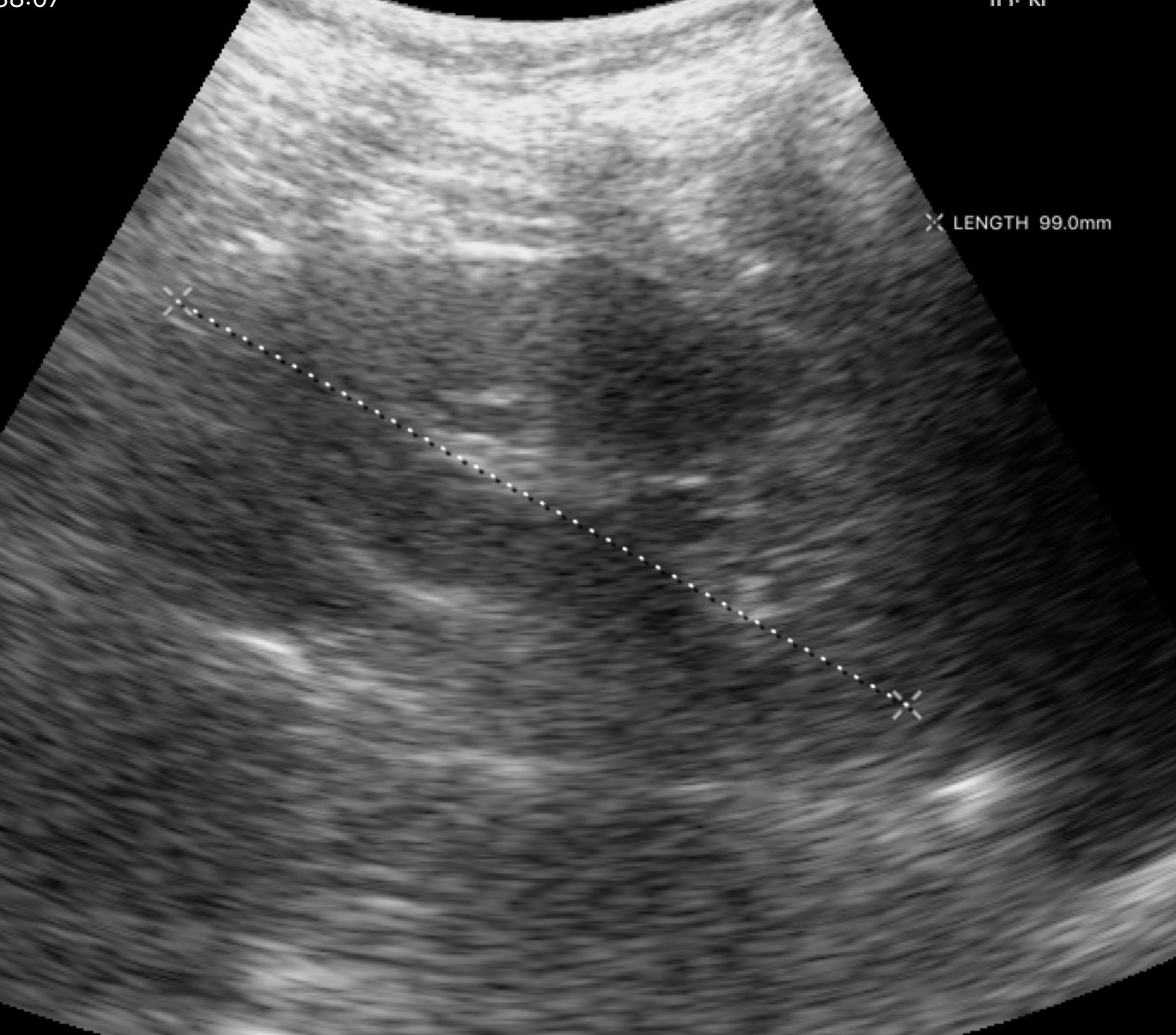
Summary:
Genitourinary ultrasound.